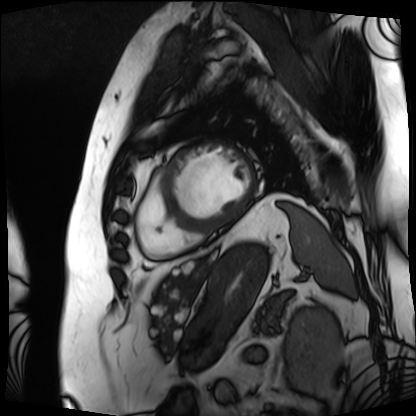
modality: cardiac MRI; subject group: patient.